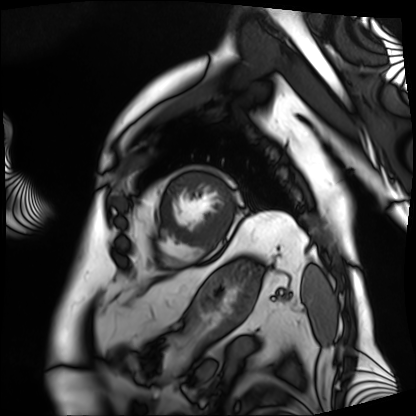
Cardiac MRI. Subject group: patient.